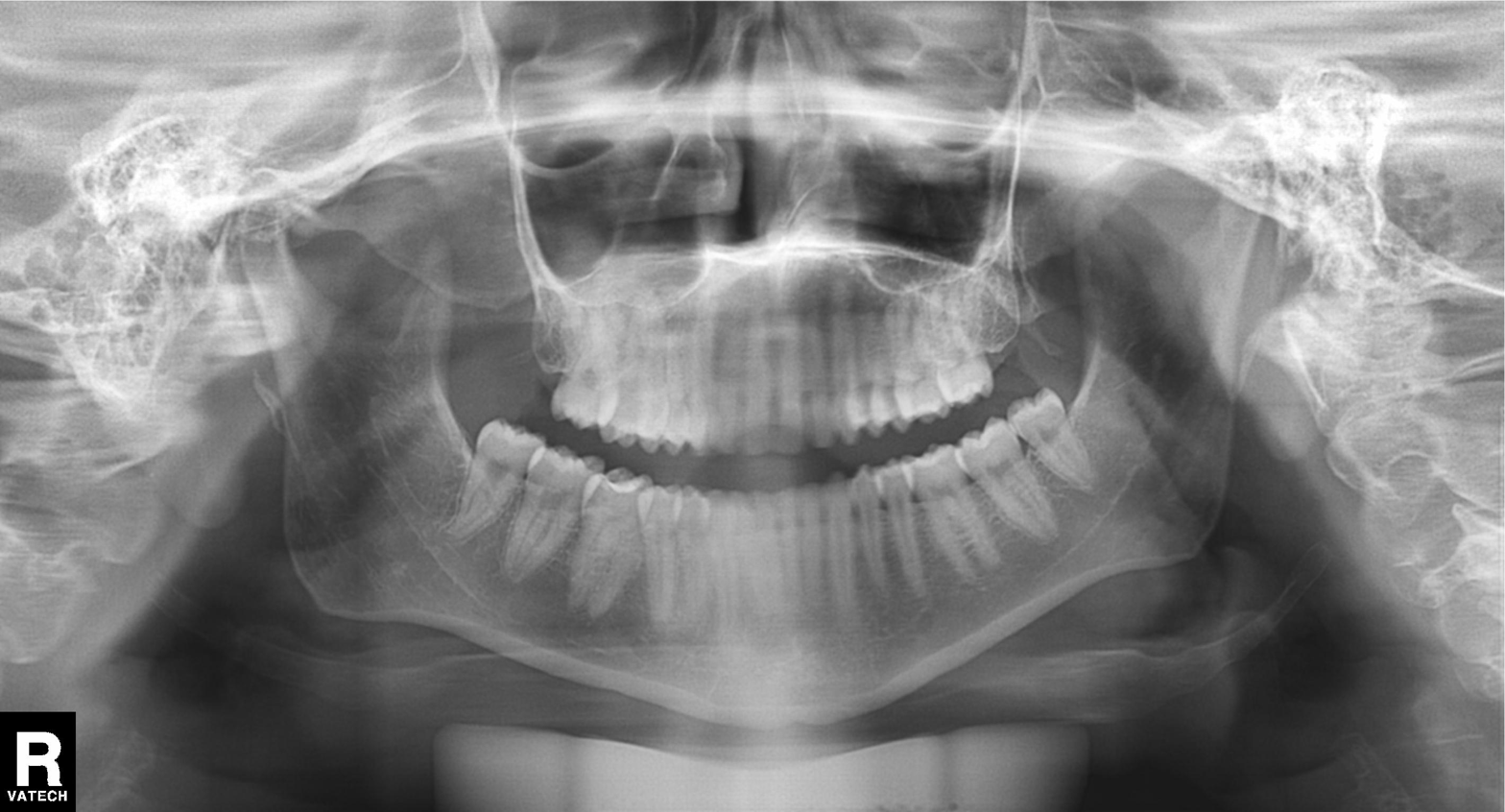
modality: panoramic dental radiograph (orthopantomogram), finding: dental caries (cavities).